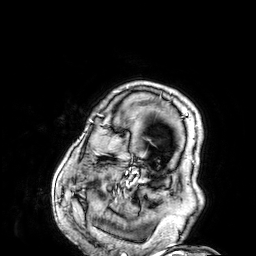
Case summary:
3 Tesla brain MRI. Series: 3D T1-weighted. Study: ring-enhancing brain masses.